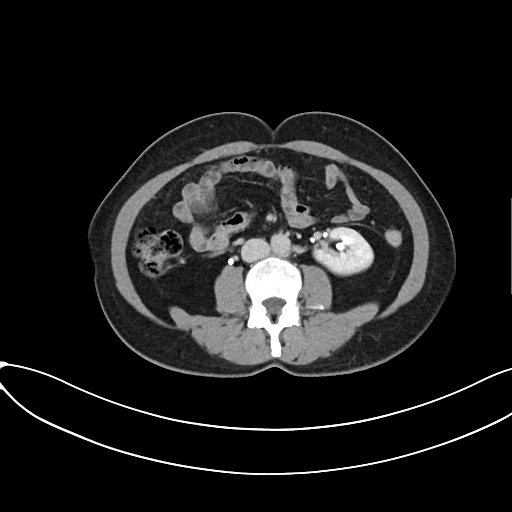
Multiphase abdominal CT, liver, delayed phase.
Patient: female, age 50.